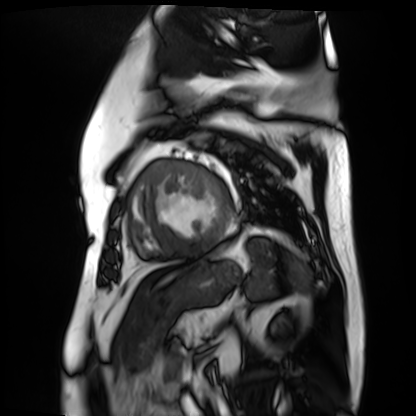
{"modality": "cardiac MR image of the myocardium", "cohort": "cardiac patient"}